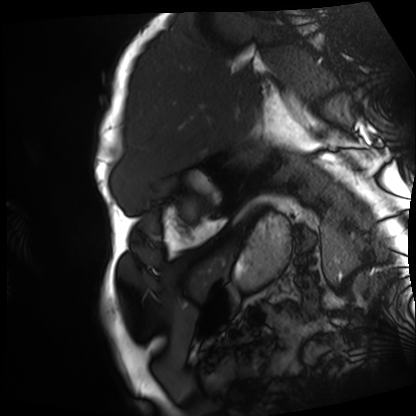
Case summary:
Cardiac MRI. Subject group: patient.